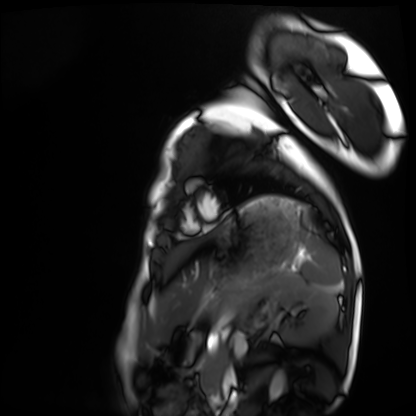
Q: What kind of scan is this?
A: Cardiac MRI.
Subject group: healthy volunteer.